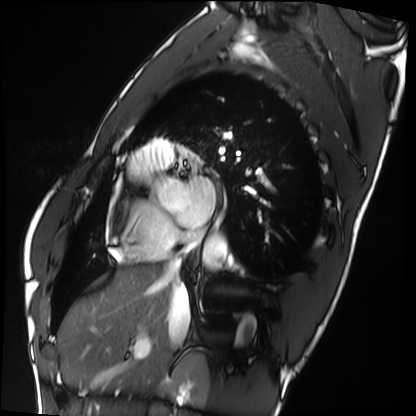
modality=cardiac MRI; subject group=healthy volunteer.